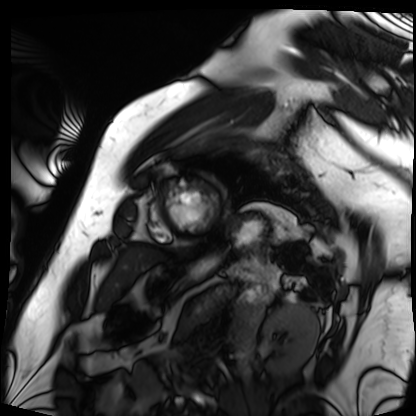
Q: What kind of scan is this?
A: Cardiac MRI.
Subject group: patient.